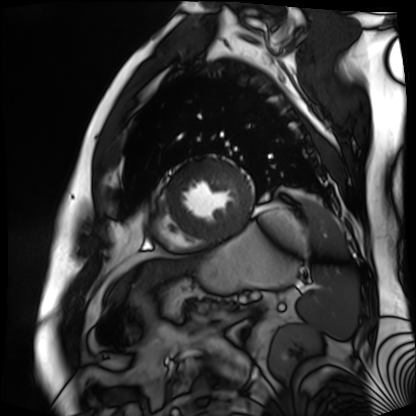
modality: cardiac MR image of the myocardium
cohort: cardiac patient